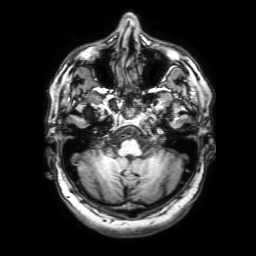
3 Tesla brain MRI. Series: 3D T1-weighted with SENSE. Study: ring-enhancing brain masses.